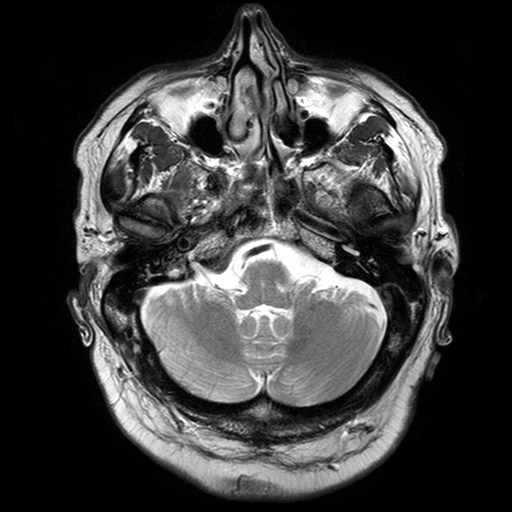
3 Tesla brain MRI.
Series: T2-weighted turbo spin echo with SENSE.
Study: ring-enhancing brain masses.